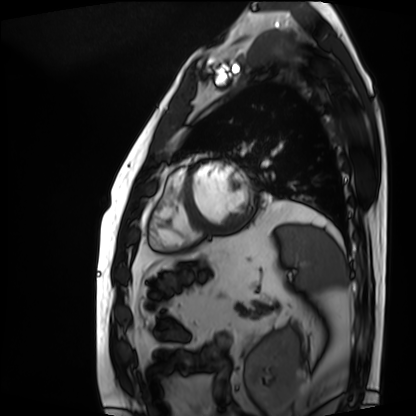
  modality: cardiac MRI
  cohort: patient